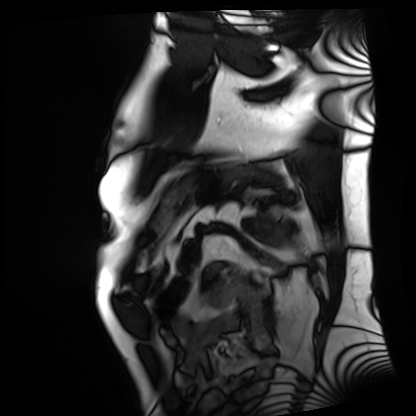
Cardiac MRI. Subject group: patient.